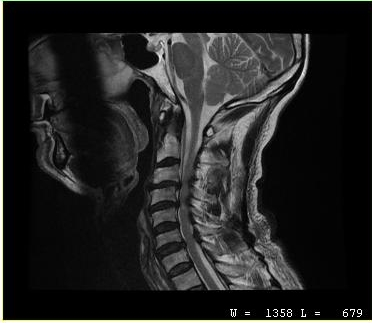
MRI of the cervical spine. Study: cervical spondylosis.